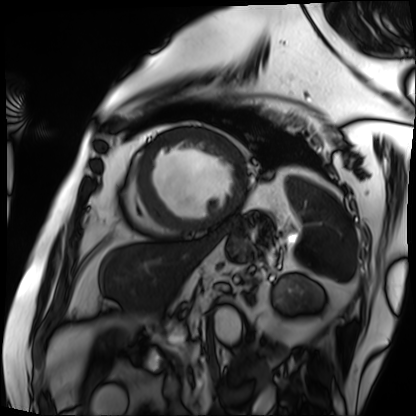
Q: What kind of scan is this?
A: Cardiac MRI.
Subject group: patient.